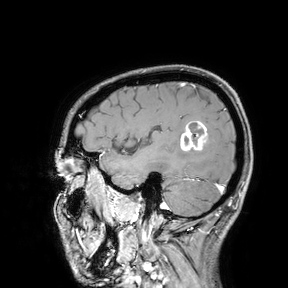
Q: What kind of scan is this?
A: 3 Tesla brain MRI.
Study: ring-enhancing brain masses.